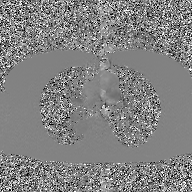
Summary:
2D phase-contrast cine MRI of the ascending aorta, GAN super-resolution reconstruction.